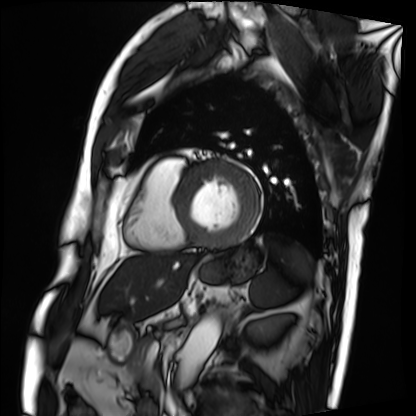
modality: cardiac MRI | subject group: patient.